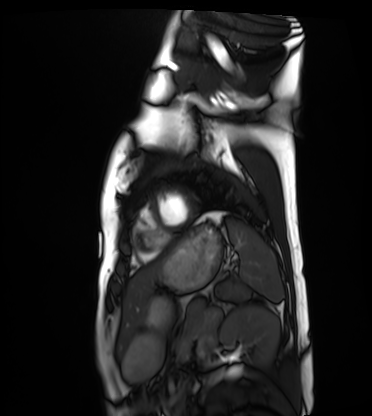
modality: cardiac MRI, subject group: healthy volunteer.